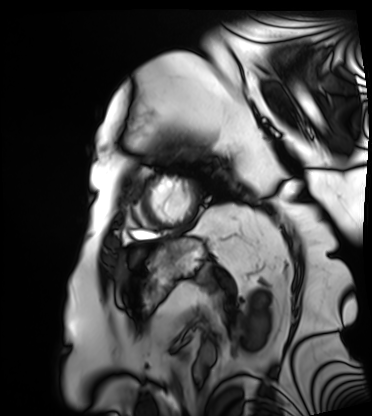
Summary:
Cardiac MRI. Subject group: patient.